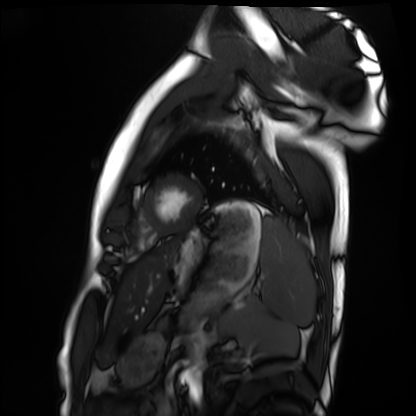
<study>
<modality>cardiac MRI</modality>
<cohort>healthy volunteer</cohort>
</study>